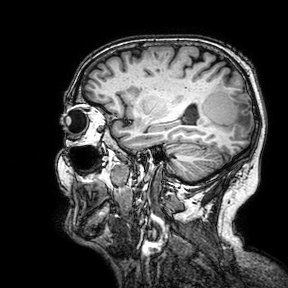
Q: What kind of scan is this?
A: 3 Tesla brain MRI.
Q: Series?
A: 3D T1-weighted turbo field echo with SENSE.
Study: ring-enhancing brain masses.